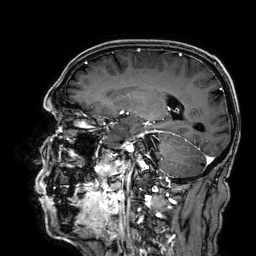
modality:
  type: brain MRI
  field_strength: 3T
series: 3D T1-weighted
study_topic: ring-enhancing brain masses